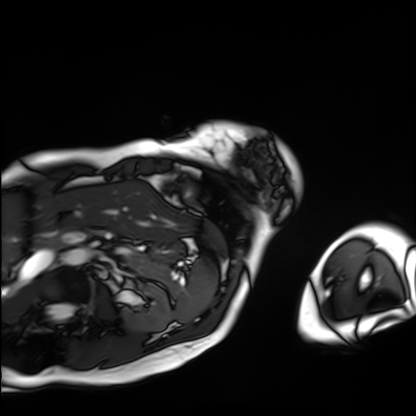
Cardiac MRI. Subject group: patient.